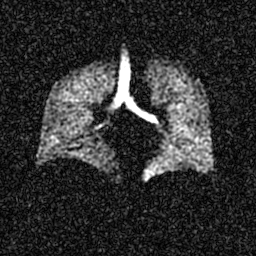
Case:
• modality: hyperpolarized 129Xe ventilation MRI of the lungs
• SNR level: 5 of 8 (the deposit holds this scan as its native image and as seven SNR-degraded versions)